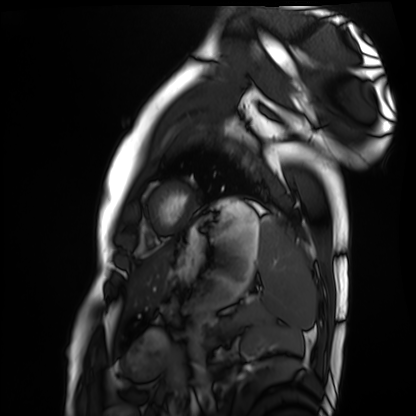
modality: cardiac MRI
subject group: healthy volunteer